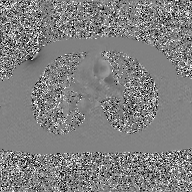
Clinical context:
2D phase-contrast cine MRI of the ascending aorta, GAN super-resolution reconstruction.